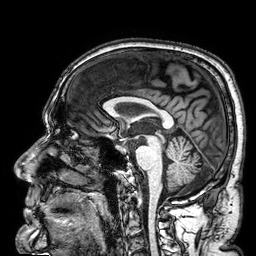
Q: What kind of scan is this?
A: 3 Tesla brain MRI.
Q: Series?
A: 3D T1-weighted.
Study: ring-enhancing brain masses.